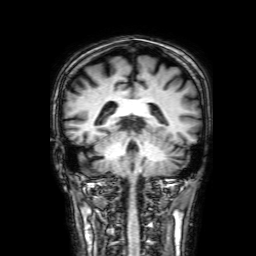
<case>
<modality>
  <type>brain MRI</type>
  <field_strength>3T</field_strength>
</modality>
<series>3D T1-weighted with SENSE</series>
<study_topic>ring-enhancing brain masses</study_topic>
</case>